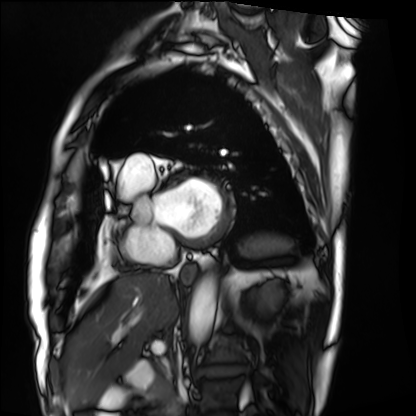
modality=cardiac MRI | subject group=patient.